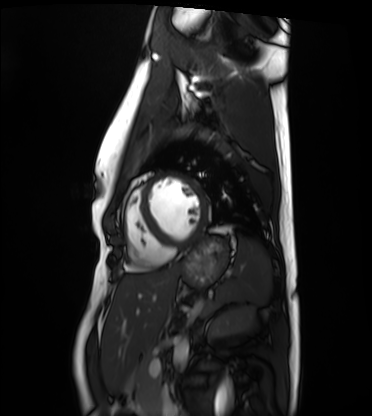
modality: cardiac MRI; subject group: healthy volunteer.